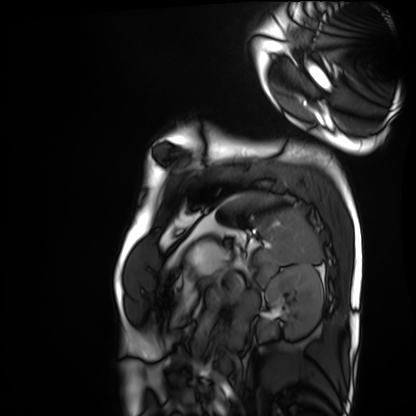
Cardiac MRI. Subject group: healthy volunteer.